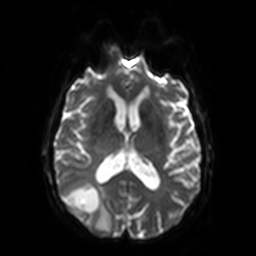
Case:
– modality · 3 Tesla brain MRI
– series · diffusion-weighted imaging
– study · ring-enhancing brain masses